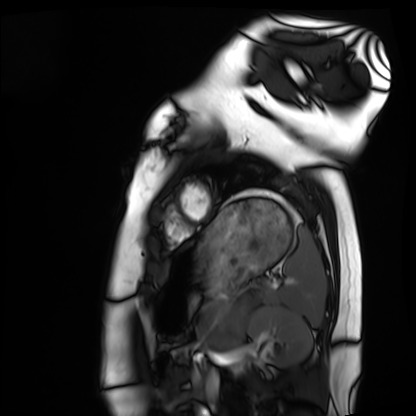
Cardiac MRI. Subject group: healthy volunteer.